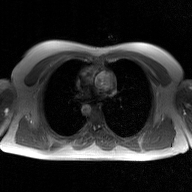
Summary: 2D phase-contrast cine MRI of the ascending aorta, GAN super-resolution reconstruction.